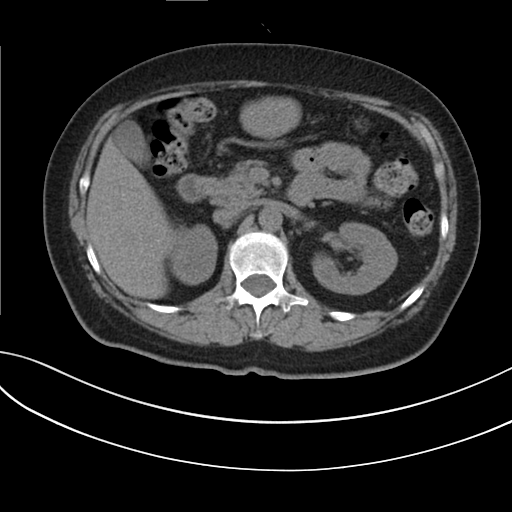
Summary: Multiphase abdominal CT, liver, non-contrast phase. Patient: female, age 59.